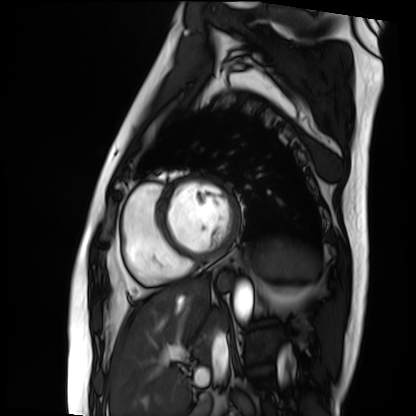
- modality — cardiac MRI
- subject group — patient